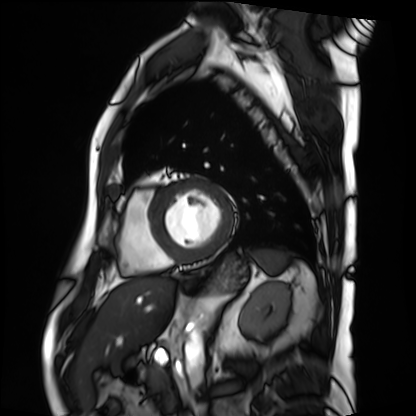
<case>
<modality>cardiac MRI</modality>
<cohort>patient</cohort>
</case>